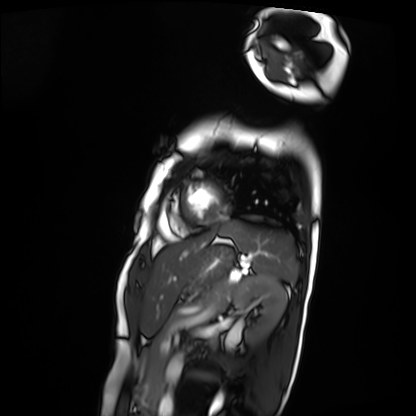
Q: What kind of scan is this?
A: Cardiac MRI.
Subject group: patient.